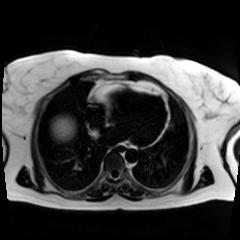
Q: What kind of scan is this?
A: Chemical-shift-encoded cardiac MRI.